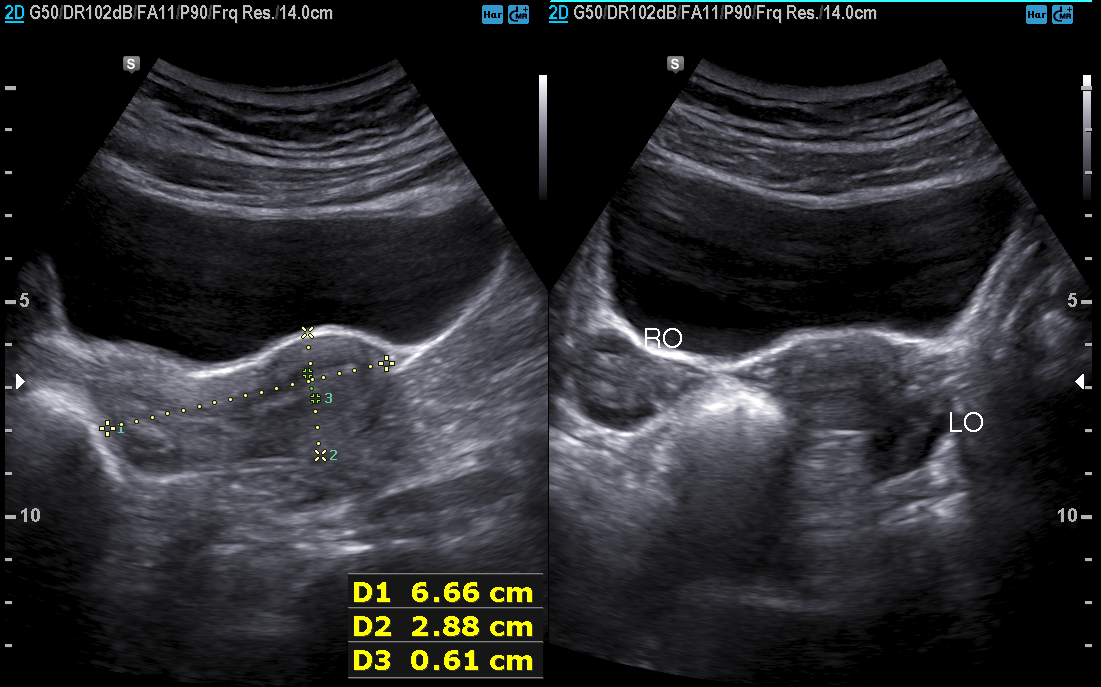
modality=genitourinary ultrasound